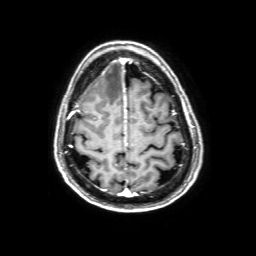
3 Tesla brain MRI.
Series: 3D T1-weighted with SENSE.
Study: ring-enhancing brain masses.